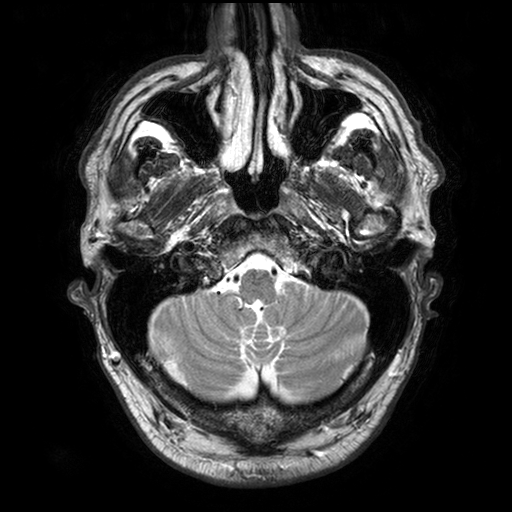
Summary:
3 Tesla brain MRI. Series: T2-weighted turbo spin echo with SENSE. Study: ring-enhancing brain masses.